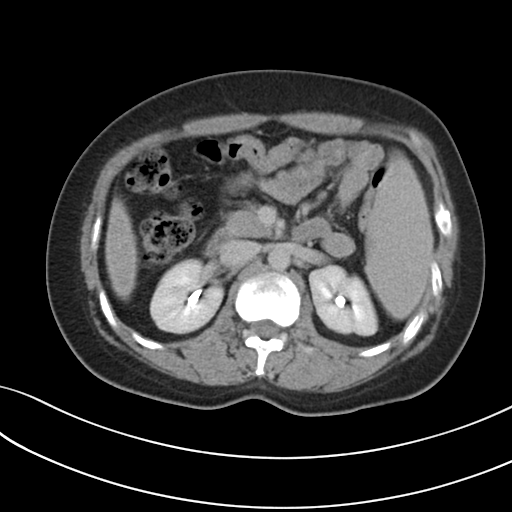
Multiphase abdominal CT, liver, delayed phase.
Patient: female, age 34.
History: prior chemotherapy.